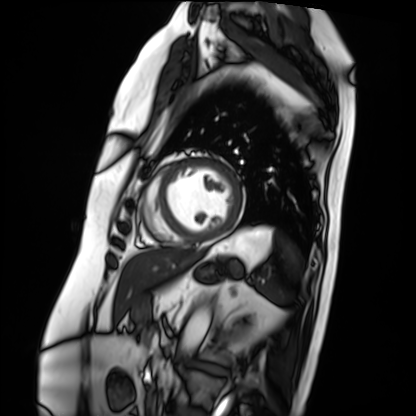
Summary:
Cardiac MRI. Subject group: patient.